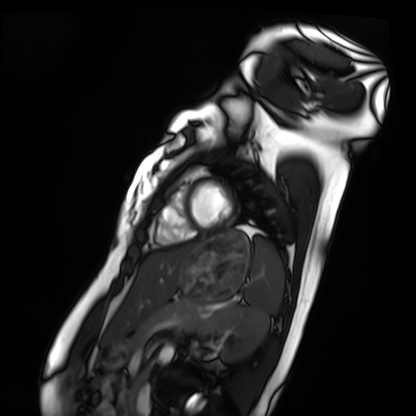
Summary:
Cardiac MRI. Subject group: healthy volunteer.